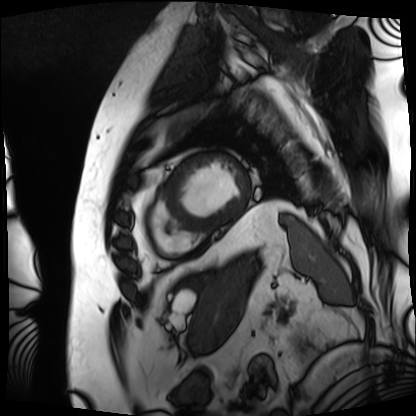
<case>
<modality>cardiac MRI</modality>
<cohort>patient</cohort>
</case>